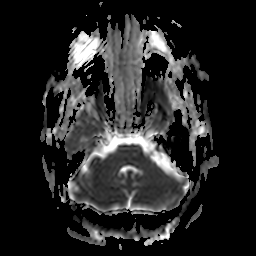
{
  "modality": {
    "type": "brain MRI",
    "field_strength": "3T"
  },
  "series": "apparent diffusion coefficient (ADC) map",
  "study_topic": "ring-enhancing brain masses"
}